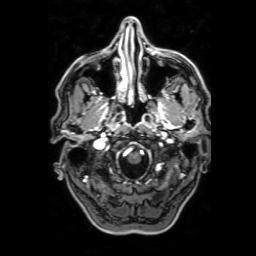
3 Tesla brain MRI. Series: 3D T1-weighted with SENSE. Study: ring-enhancing brain masses.